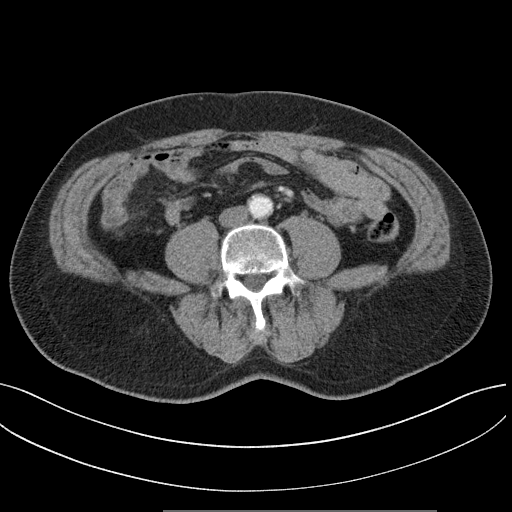
Multiphase abdominal CT, liver, arterial phase.
Patient: male, age 64.